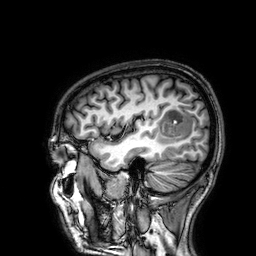
<scan>
  <modality>
    <type>brain MRI</type>
    <field_strength>3T</field_strength>
  </modality>
  <series>3D T1-weighted</series>
  <study_topic>ring-enhancing brain masses</study_topic>
</scan>